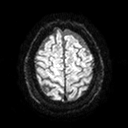
3 Tesla brain MRI. Series: diffusion tensor imaging (medium iso). Study: ring-enhancing brain masses.